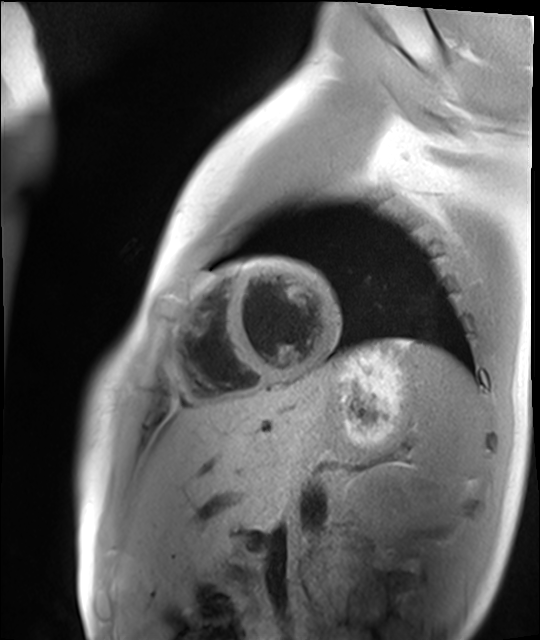
modality = cardiac MR image of the myocardium | subject cohort = healthy volunteer.